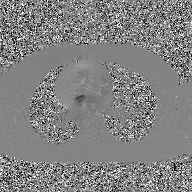
Clinical context: 2D phase-contrast cine MRI of the ascending aorta, GAN super-resolution reconstruction.